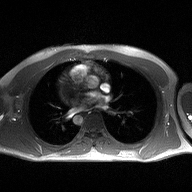
2D phase-contrast cine MRI of the ascending aorta, high-resolution GRAPPA acquisition.